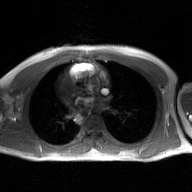
<record>
  <modality>
    <type>2D phase-contrast cine MRI</type>
    <region>ascending aorta</region>
    <reconstruction>GAN super-resolution reconstruction</reconstruction>
  </modality>
</record>